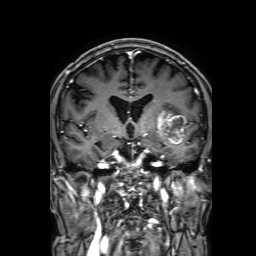
3 Tesla brain MRI.
Series: 3D T1-weighted with SENSE.
Study: ring-enhancing brain masses.